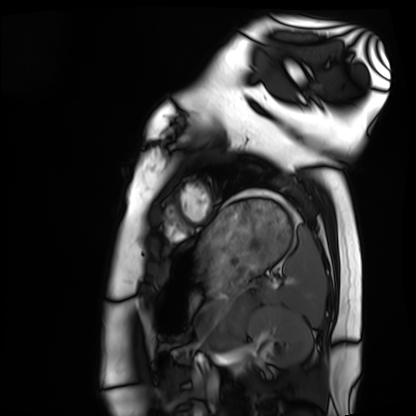
Q: What kind of scan is this?
A: Cardiac MRI.
Subject group: healthy volunteer.